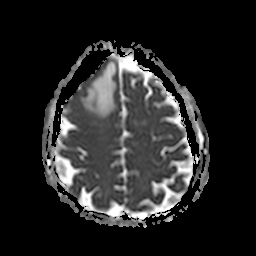
3 Tesla brain MRI.
Series: apparent diffusion coefficient (ADC) map.
Study: ring-enhancing brain masses.